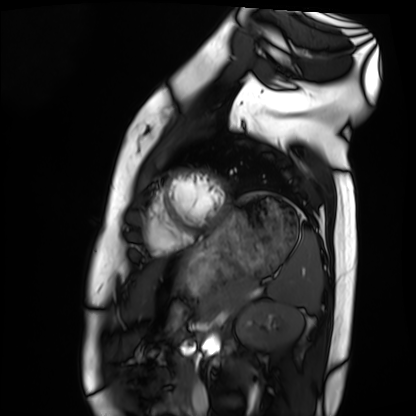
modality = cardiac MRI; subject group = healthy volunteer.